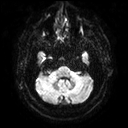
{"modality": {"type": "brain MRI", "field_strength": "3T"}, "series": "diffusion tensor imaging (medium iso)", "study_topic": "ring-enhancing brain masses"}